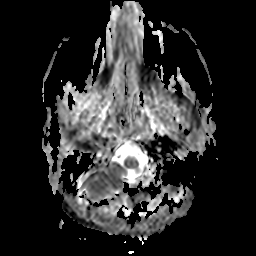
Case:
– modality: 3 Tesla brain MRI
– series: apparent diffusion coefficient (ADC) map
– study: ring-enhancing brain masses